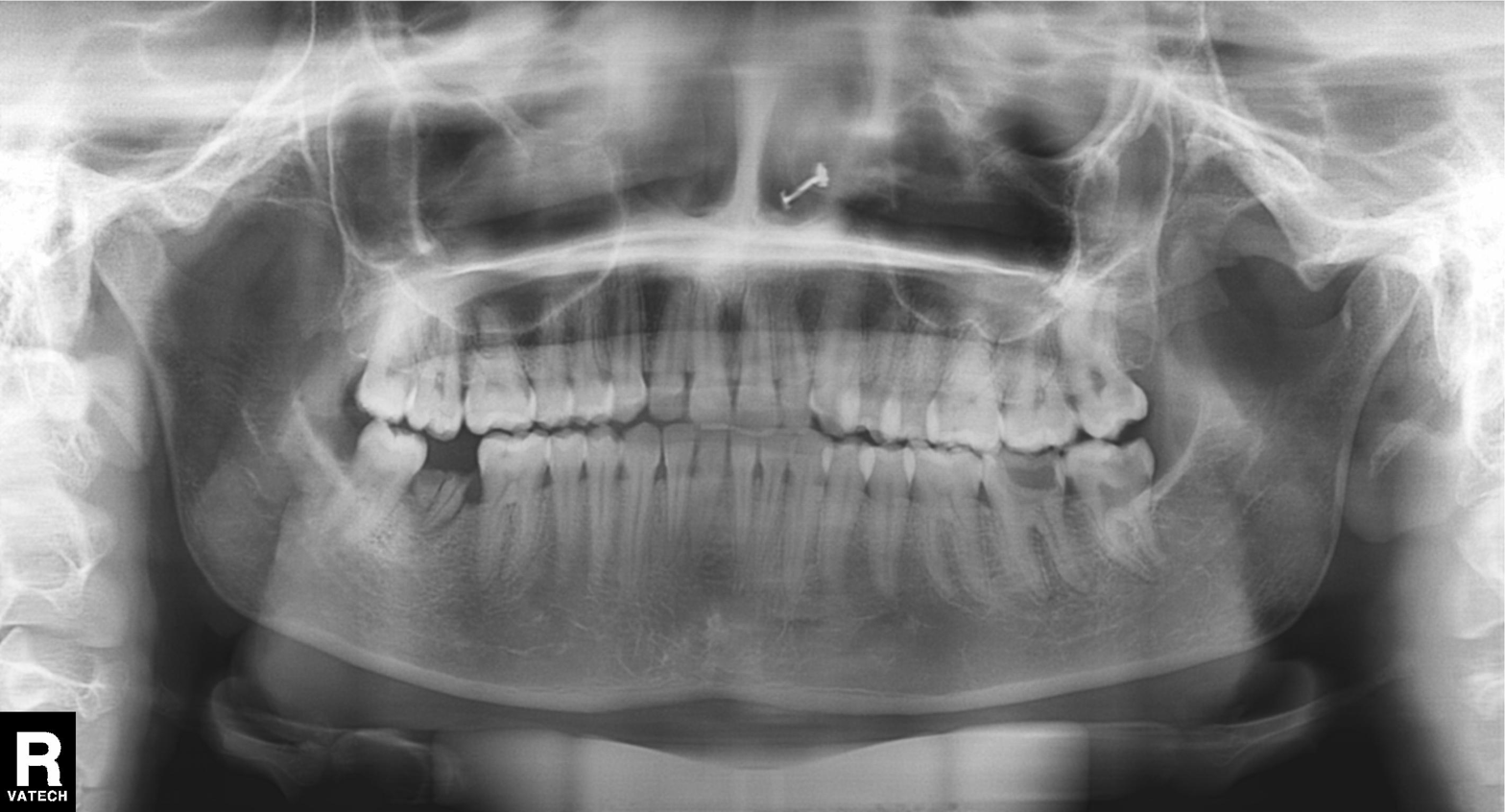
Panoramic dental radiograph (orthopantomogram). Finding: alveolar bone loss.